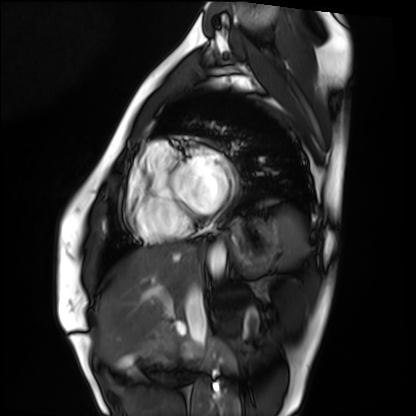
modality = cardiac MRI; subject group = healthy volunteer.